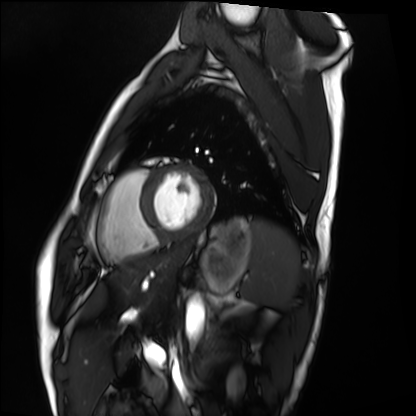
modality: cardiac MRI
subject group: healthy volunteer